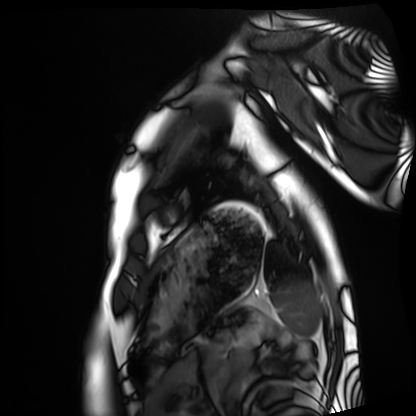
Cardiac MRI.
Subject group: healthy volunteer.